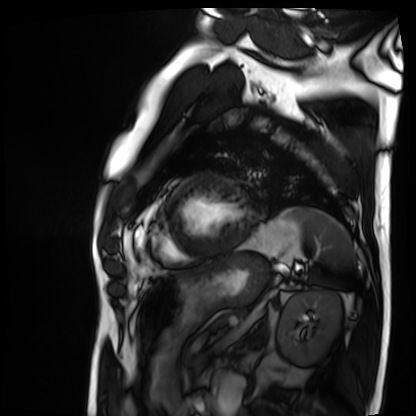
Q: What kind of scan is this?
A: Cardiac MRI.
Subject group: patient.